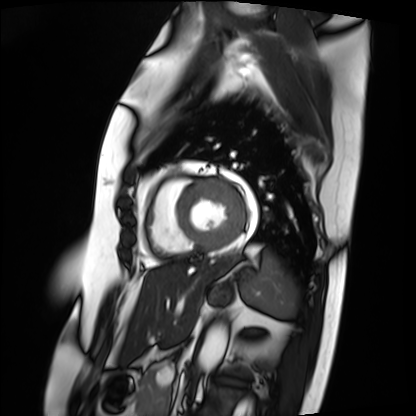
Summary:
Cardiac MRI. Subject group: patient.